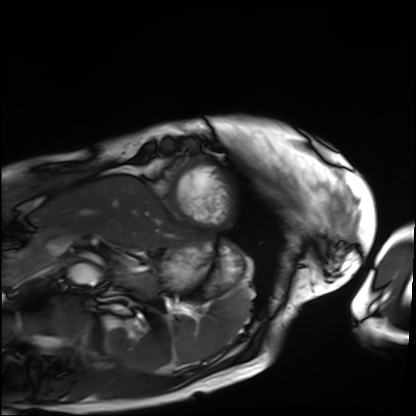
Case summary: Cardiac MRI. Subject group: patient.